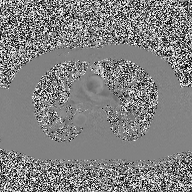
Summary: 2D phase-contrast cine MRI of the ascending aorta, high-resolution GRAPPA acquisition.